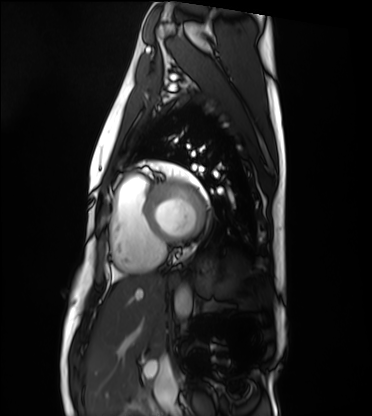
Clinical context: Cardiac MRI. Subject group: healthy volunteer.